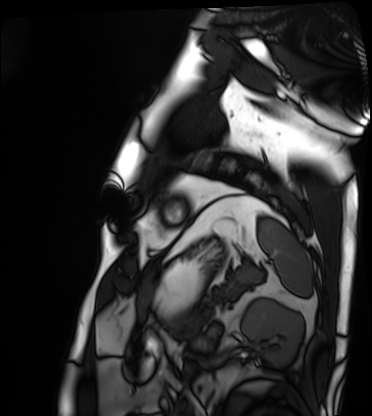
Cardiac MRI. Subject group: patient.